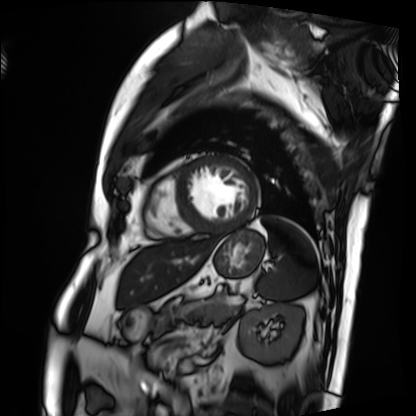
Cardiac MRI. Subject group: patient.